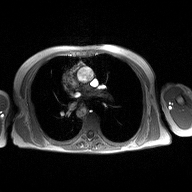
Case summary:
2D phase-contrast cine MRI of the ascending aorta, high-resolution GRAPPA acquisition.